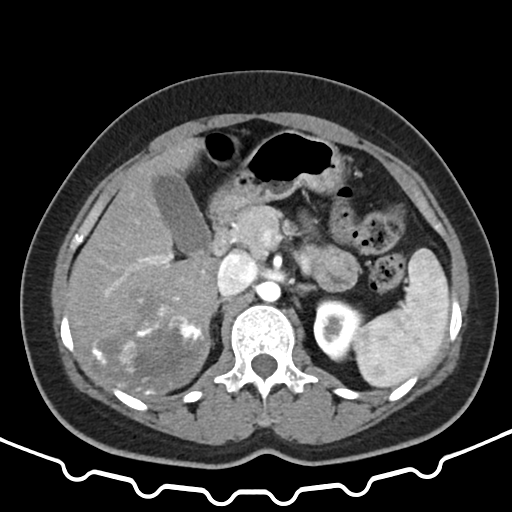
• modality · multiphase abdominal CT, liver, arterial phase
• patient · female, age 37